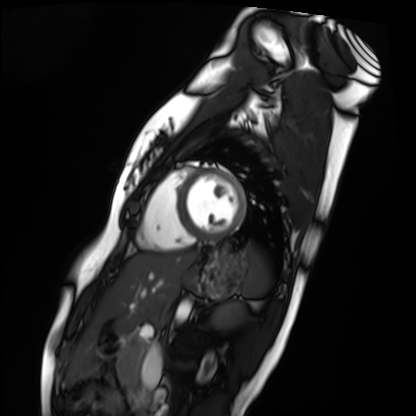
Case summary:
Cardiac MRI. Subject group: healthy volunteer.